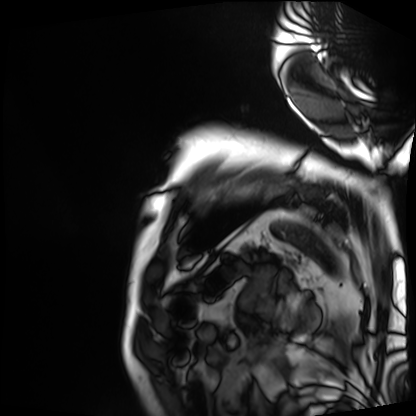
* modality: cardiac MRI
* subject group: patient